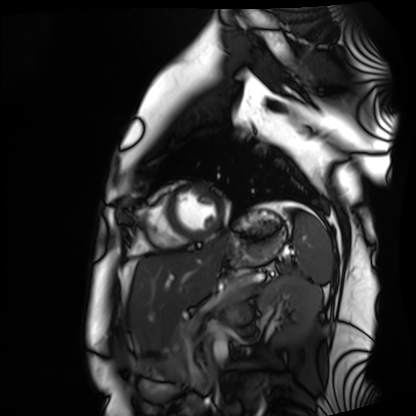
Summary: Cardiac MRI. Subject group: healthy volunteer.